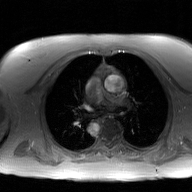
Summary:
2D phase-contrast cine MRI of the ascending aorta, GAN super-resolution reconstruction.